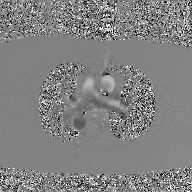
2D phase-contrast cine MRI of the ascending aorta, GAN super-resolution reconstruction.